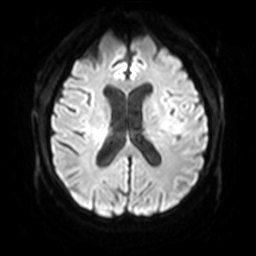
{
  "modality": {
    "type": "brain MRI",
    "field_strength": "3T"
  },
  "series": "diffusion-weighted imaging with SENSE (WIP)",
  "study_topic": "ring-enhancing brain masses"
}